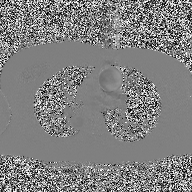
Q: What kind of scan is this?
A: 2D phase-contrast cine MRI of the ascending aorta.